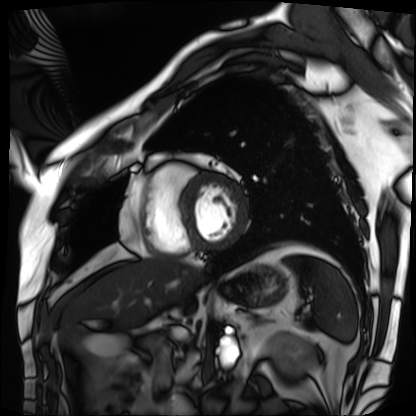
Summary: Cardiac MRI. Subject group: patient.